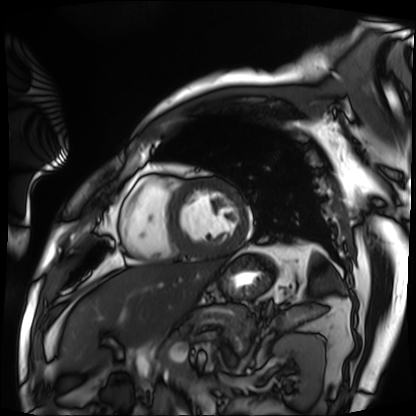
Q: What kind of scan is this?
A: Cardiac MRI.
Subject group: patient.